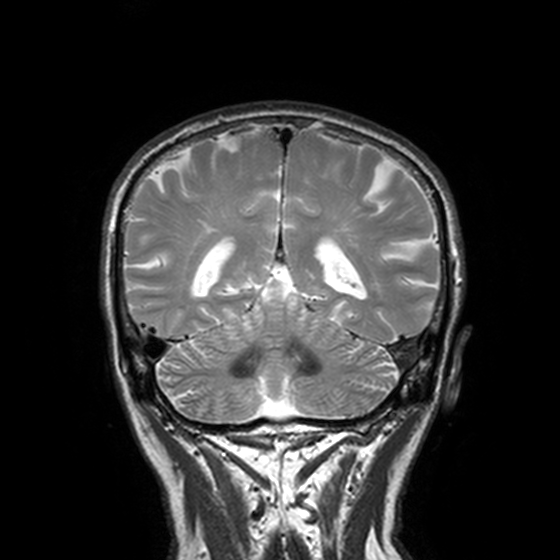
Q: What kind of scan is this?
A: 3 Tesla brain MRI.
Q: Series?
A: T2-weighted turbo spin echo, 3 mm.
Study: ring-enhancing brain masses.